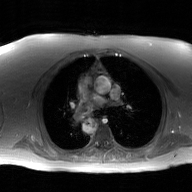
2D phase-contrast cine MRI of the ascending aorta, GAN super-resolution reconstruction.